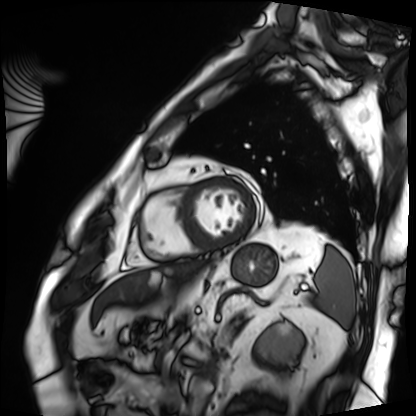
Cardiac MRI. Subject group: patient.